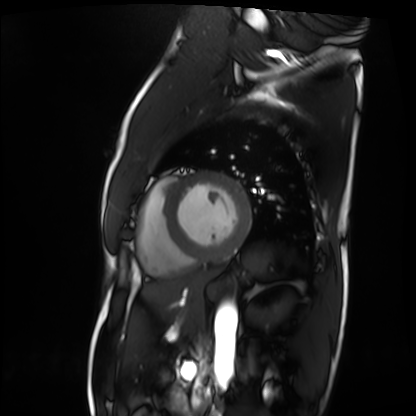
Summary:
Cardiac MRI. Subject group: patient.